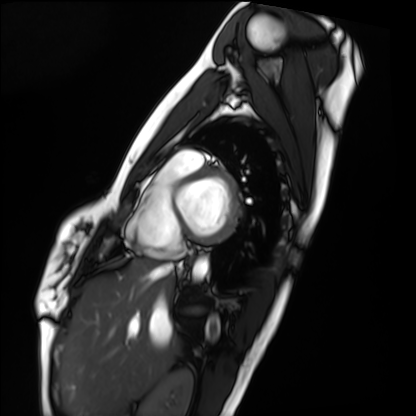
Cardiac MRI. Subject group: healthy volunteer.